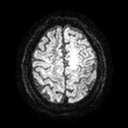
Summary:
3 Tesla brain MRI. Series: diffusion tensor imaging (medium iso). Study: ring-enhancing brain masses.